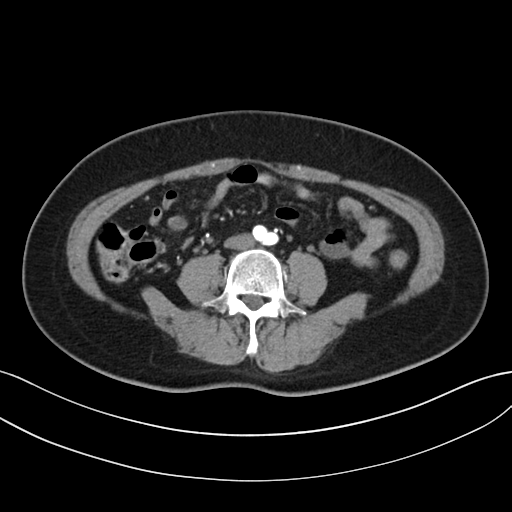
Multiphase abdominal CT, liver, arterial phase. Patient: female, age 55.